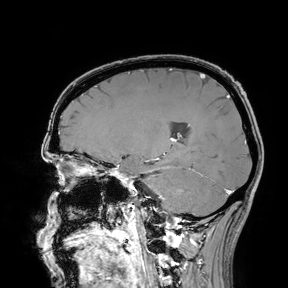
3 Tesla brain MRI. Study: ring-enhancing brain masses.